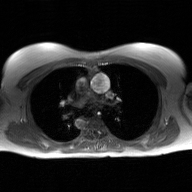
{
  "modality": {
    "type": "2D phase-contrast cine MRI",
    "region": "ascending aorta",
    "reconstruction": "GAN super-resolution reconstruction"
  }
}